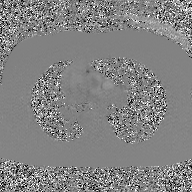
2D phase-contrast cine MRI of the ascending aorta, GAN super-resolution reconstruction.